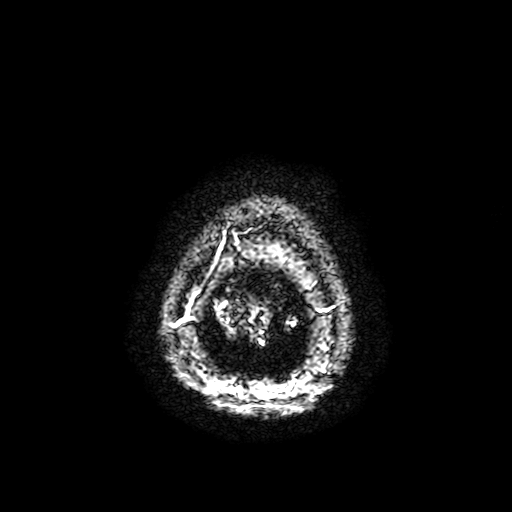
Q: What kind of scan is this?
A: 3 Tesla brain MRI.
Q: Series?
A: T2-weighted fast field echo with SENSE.
Study: ring-enhancing brain masses.